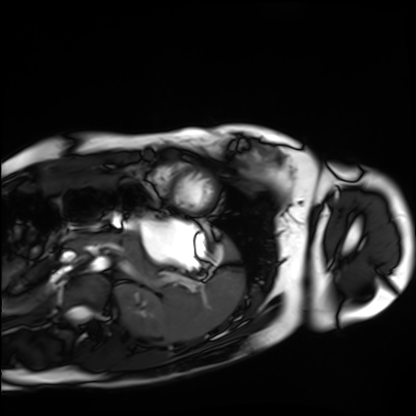
Summary:
Cardiac MRI. Subject group: healthy volunteer.